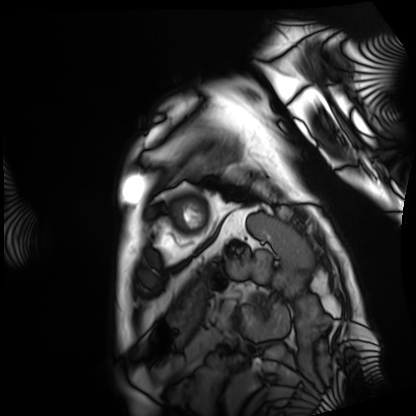
| field | value |
|---|---|
| modality | cardiac MRI |
| subject group | patient |